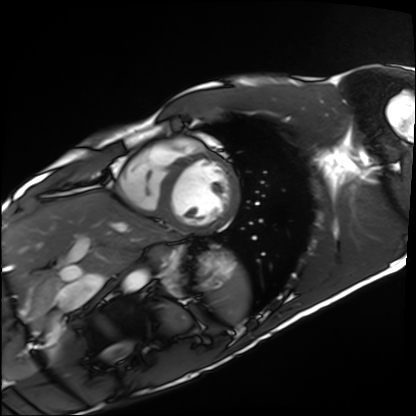
Cardiac MRI.
Subject group: healthy volunteer.